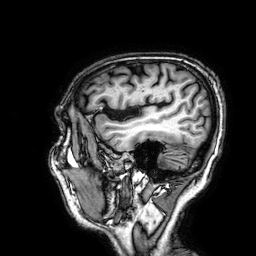
Q: What kind of scan is this?
A: 3 Tesla brain MRI.
Q: Series?
A: 3D T1-weighted.
Study: ring-enhancing brain masses.